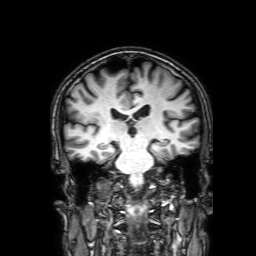
3 Tesla brain MRI. Series: 3D T1-weighted with SENSE. Study: ring-enhancing brain masses.